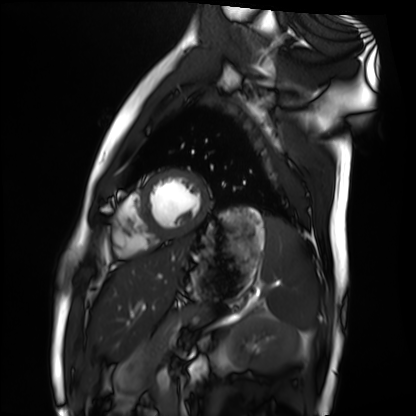
modality = cardiac MRI; subject group = healthy volunteer.